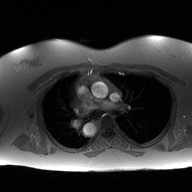
Summary:
2D phase-contrast cine MRI of the ascending aorta, high-resolution GRAPPA acquisition.